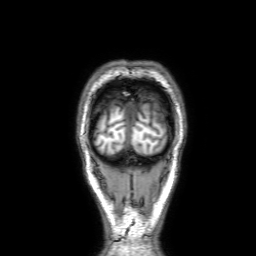
3 Tesla brain MRI.
Series: 3D T1-weighted with SENSE.
Study: ring-enhancing brain masses.